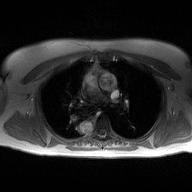
2D phase-contrast cine MRI of the ascending aorta, high-resolution GRAPPA acquisition.